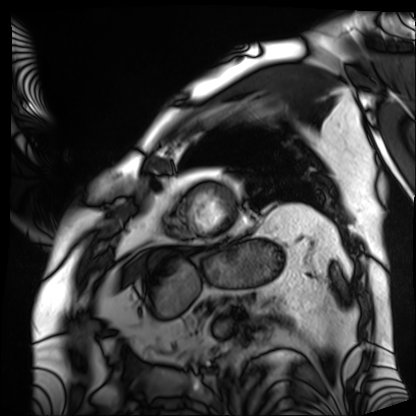
Case summary:
Cardiac MRI. Subject group: patient.